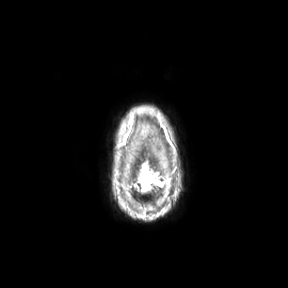
{"modality": {"type": "brain MRI", "field_strength": "3T"}, "study_topic": "ring-enhancing brain masses"}